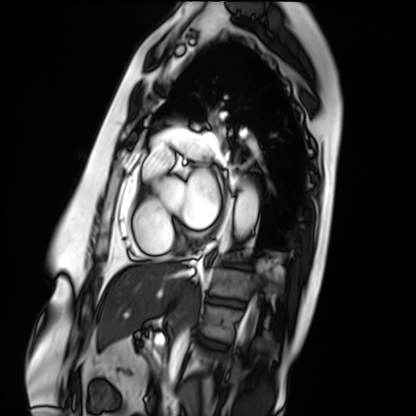
| field | value |
|---|---|
| modality | cardiac MRI |
| subject group | patient |